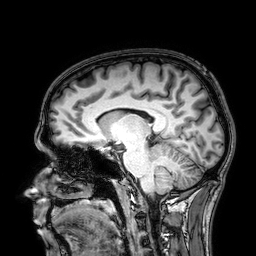
modality = 3 Tesla brain MRI; series = 3D T1-weighted; study = ring-enhancing brain masses.